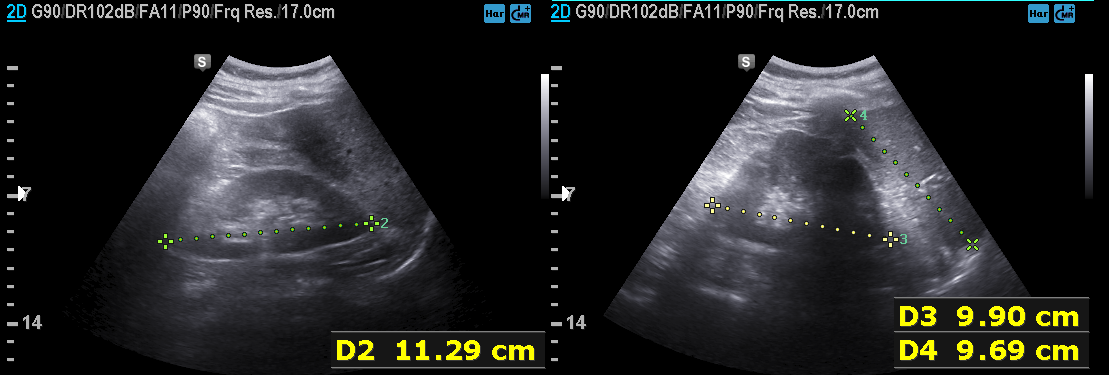
{"modality": {"type": "genitourinary ultrasound"}}